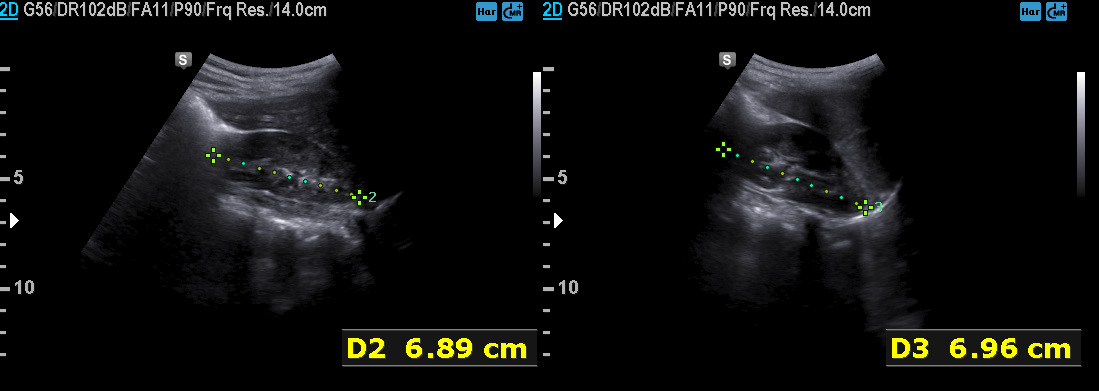
Case:
– modality: genitourinary ultrasound